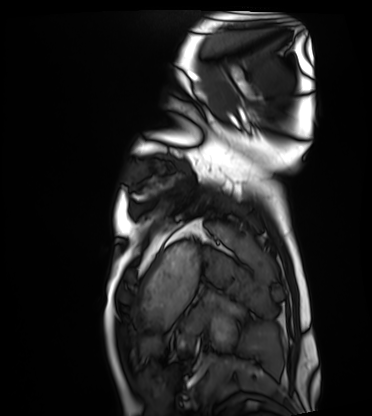
Summary: Cardiac MRI. Subject group: healthy volunteer.